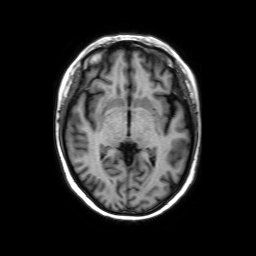
Q: What kind of scan is this?
A: 3 Tesla brain MRI.
Study: ring-enhancing brain masses.